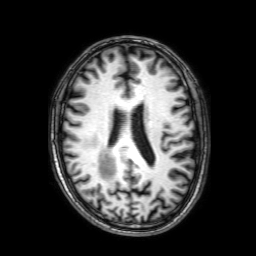
{
  "modality": {
    "type": "brain MRI",
    "field_strength": "3T"
  },
  "series": "3D T1-weighted with SENSE",
  "study_topic": "ring-enhancing brain masses"
}